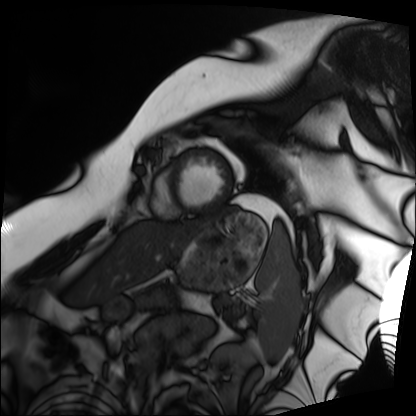
Q: What kind of scan is this?
A: Cardiac MRI.
Subject group: patient.